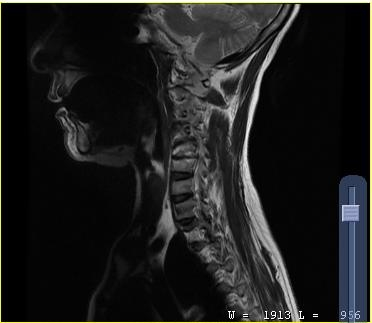
modality — MRI of the cervical spine; study — cervical spondylosis.